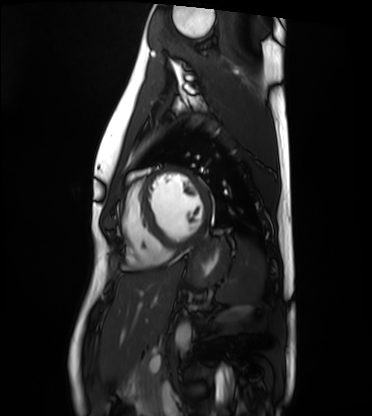
Cardiac MRI.
Subject group: healthy volunteer.